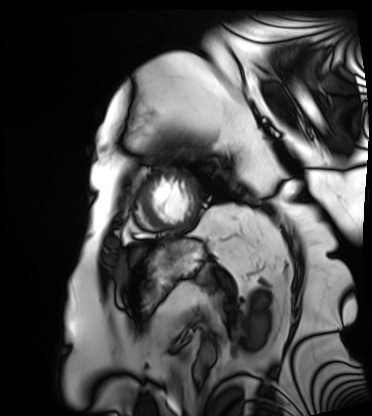
Clinical context:
Cardiac MRI. Subject group: patient.